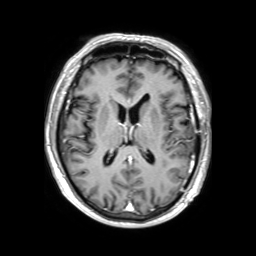
{"modality": {"type": "brain MRI", "field_strength": "3T"}, "series": "3D T1-weighted TFE with SENSE", "study_topic": "ring-enhancing brain masses"}